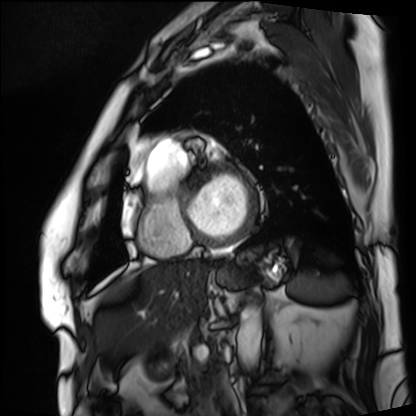
<record>
  <modality>cardiac MRI</modality>
  <cohort>patient</cohort>
</record>